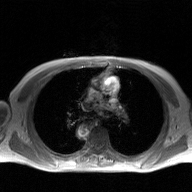
2D phase-contrast cine MRI of the ascending aorta, GAN super-resolution reconstruction.